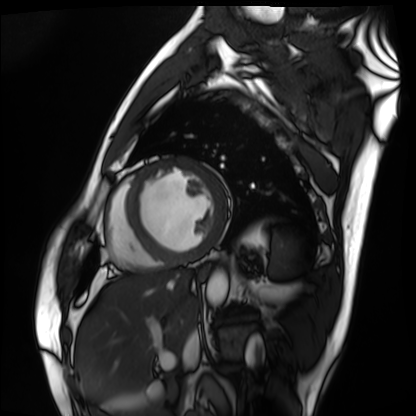
{
  "modality": "cardiac MRI",
  "cohort": "patient"
}